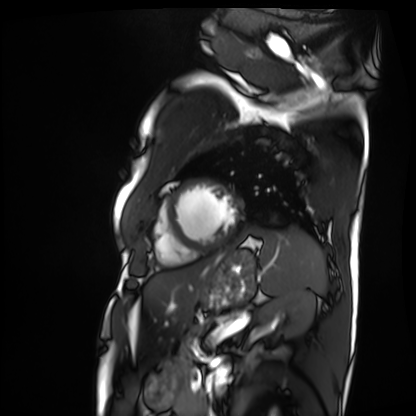
modality = cardiac MRI; subject group = patient.